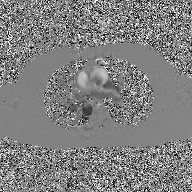
2D phase-contrast cine MRI of the ascending aorta, GAN super-resolution reconstruction.